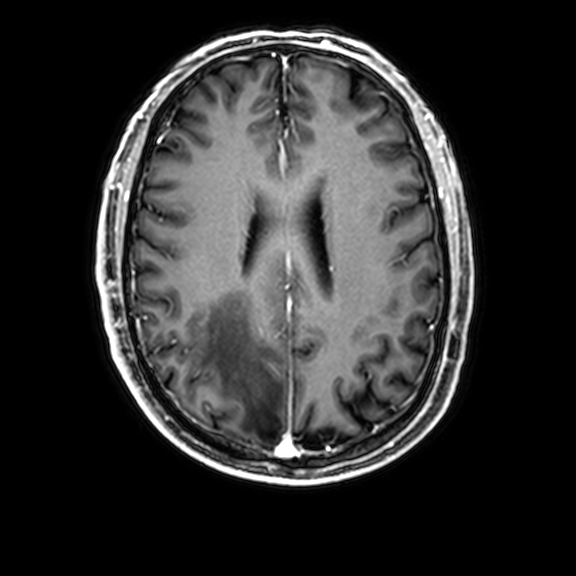
Q: What kind of scan is this?
A: 3 Tesla brain MRI.
Q: Series?
A: 3D T1-weighted with CLEAR.
Study: ring-enhancing brain masses.